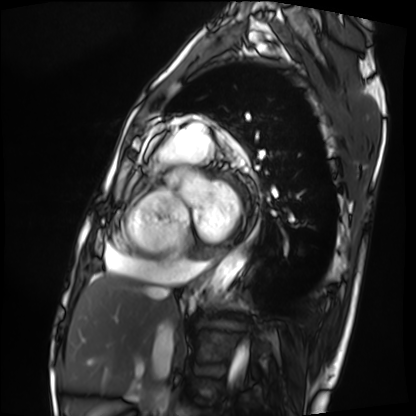
Case summary: Cardiac MRI. Subject group: patient.